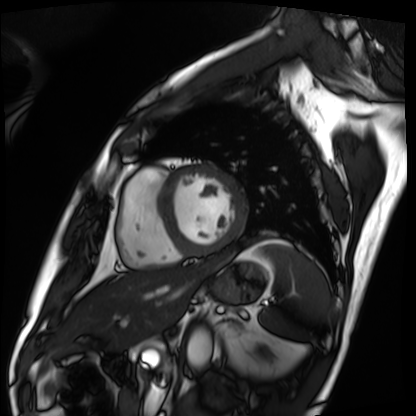
Summary: Cardiac MRI. Subject group: patient.